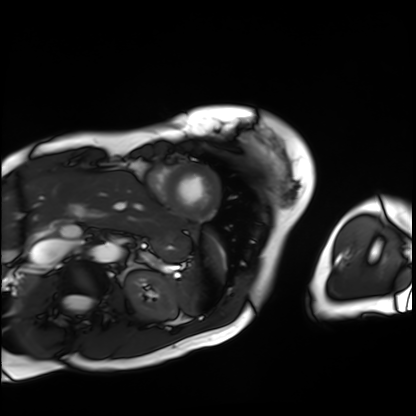
modality: cardiac MRI | subject group: patient.